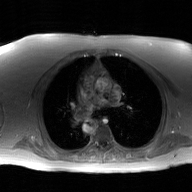
  modality:
    type: 2D phase-contrast cine MRI
    region: ascending aorta
    reconstruction: GAN super-resolution reconstruction